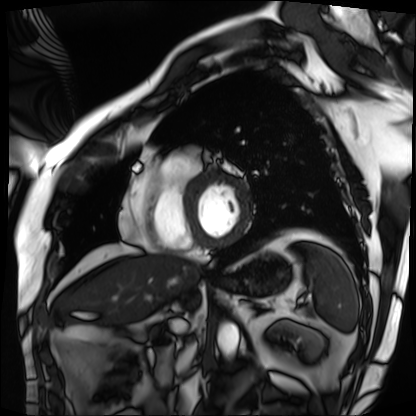
Case summary:
Cardiac MRI. Subject group: patient.